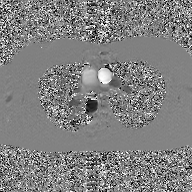
{"modality": {"type": "2D phase-contrast cine MRI", "region": "ascending aorta", "reconstruction": "GAN super-resolution reconstruction"}}